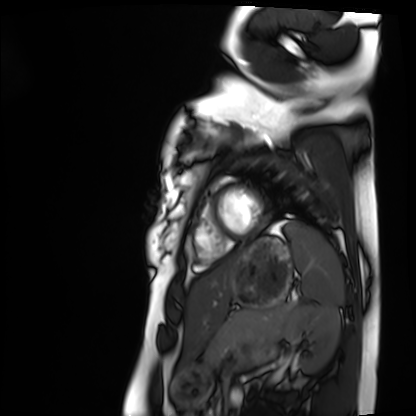
Clinical context: Cardiac MRI. Subject group: healthy volunteer.